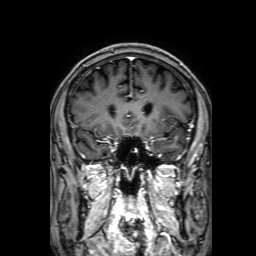
3 Tesla brain MRI.
Series: 3D T1-weighted with SENSE.
Study: ring-enhancing brain masses.